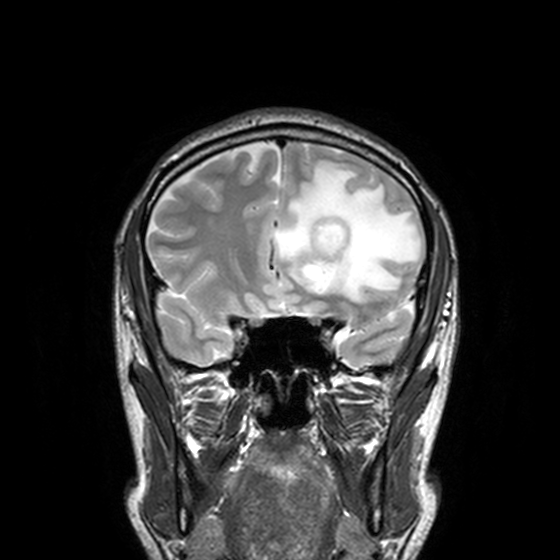
– modality · 3 Tesla brain MRI
– series · T2-weighted turbo spin echo, 3 mm
– study · ring-enhancing brain masses